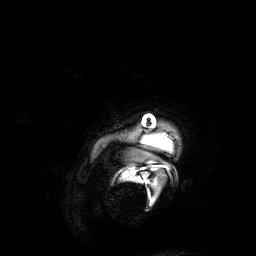
3 Tesla brain MRI. Series: 3D T1-weighted. Study: ring-enhancing brain masses.